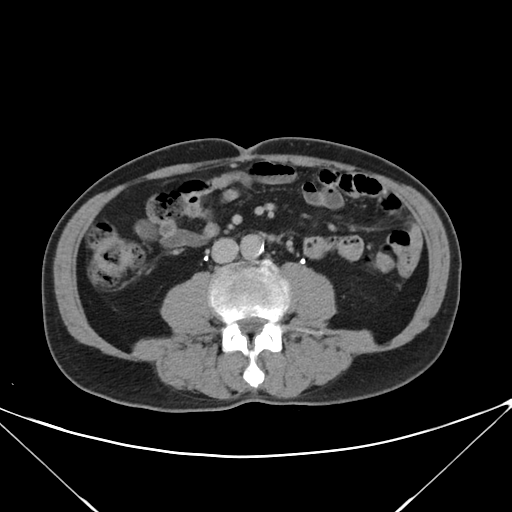
Multiphase abdominal CT, liver, delayed phase. Patient: male, age 68.